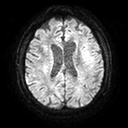
3 Tesla brain MRI. Series: diffusion tensor imaging (medium iso). Study: ring-enhancing brain masses.